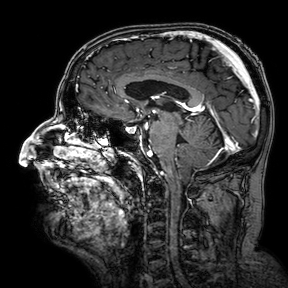
– modality: 3 Tesla brain MRI
– series: 3D T1-weighted turbo field echo with SENSE
– study: ring-enhancing brain masses